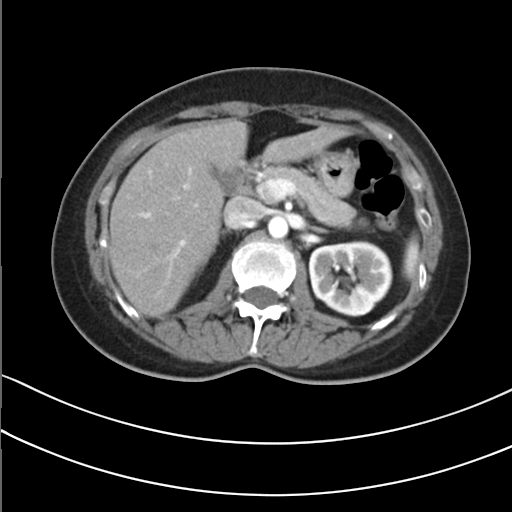
modality=multiphase abdominal CT, liver, arterial phase | patient=female, age 50 | history=prior chemotherapy.